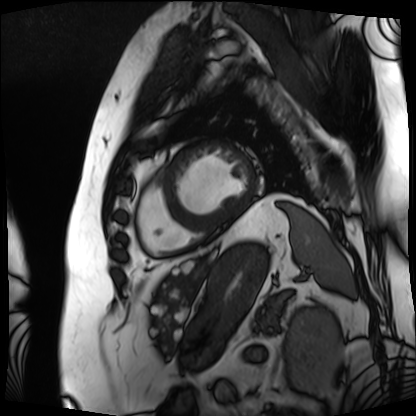
– modality — cardiac MRI
– subject group — patient